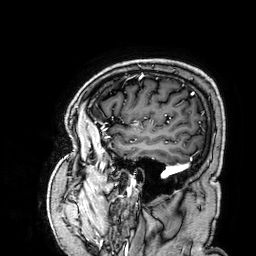
3 Tesla brain MRI. Series: 3D T1-weighted. Study: ring-enhancing brain masses.